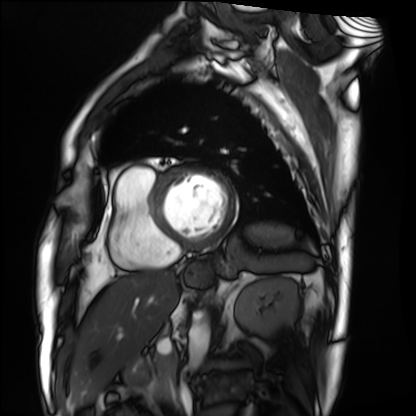
Summary:
Cardiac MRI. Subject group: patient.